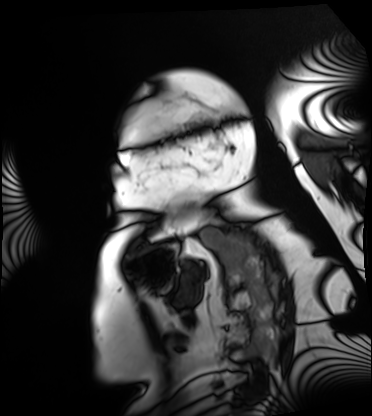
Cardiac MRI. Subject group: patient.